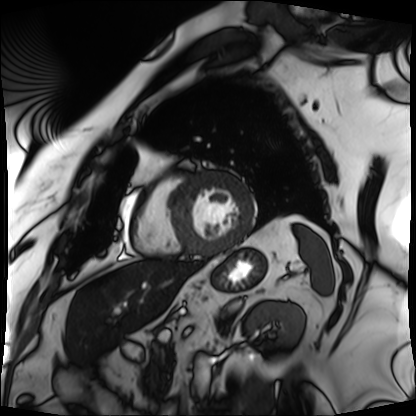
Cardiac MRI.
Subject group: patient.